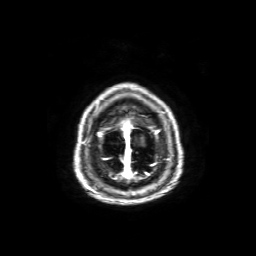
Q: What kind of scan is this?
A: 3 Tesla brain MRI.
Q: Series?
A: Axial T1-weighted fusion image.
Study: ring-enhancing brain masses.